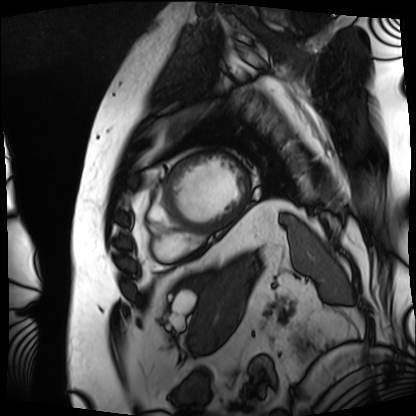
Q: What kind of scan is this?
A: Cardiac MRI.
Subject group: patient.